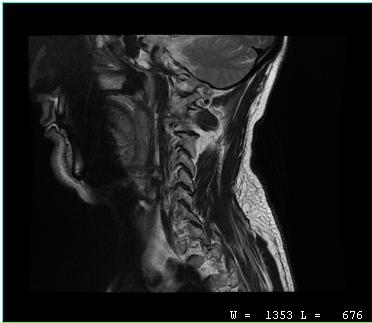
MRI of the cervical spine. Study: cervical spondylosis.